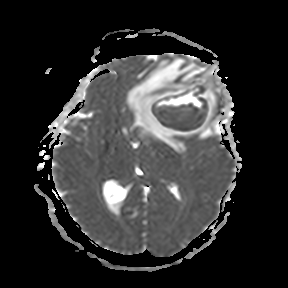
modality: 3 Tesla brain MRI; series: apparent diffusion coefficient (ADC) map; study: ring-enhancing brain masses.